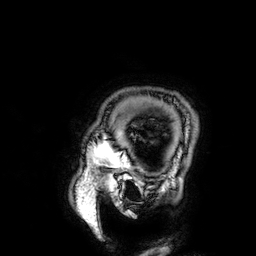
– modality — 3 Tesla brain MRI
– series — 3D T1-weighted
– study — ring-enhancing brain masses